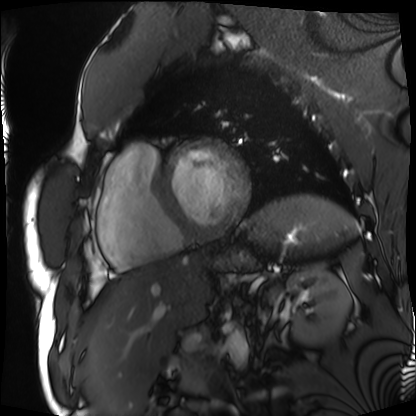
Q: What kind of scan is this?
A: Cardiac MRI.
Subject group: patient.